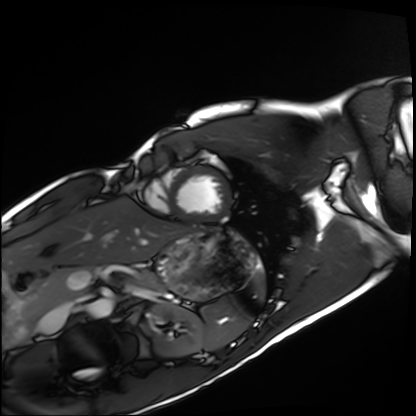
{
  "modality": "cardiac MRI",
  "cohort": "healthy volunteer"
}